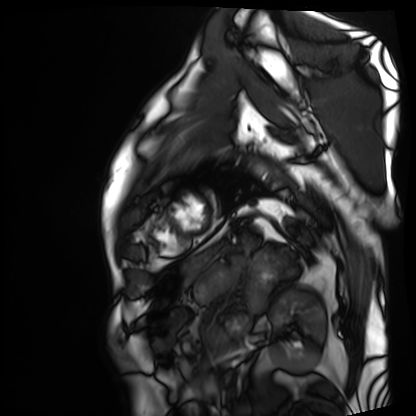
Summary: Cardiac MRI. Subject group: patient.